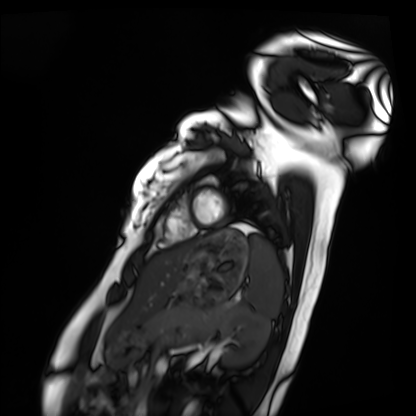
modality: cardiac MRI; subject group: healthy volunteer.